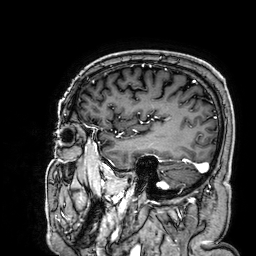
3 Tesla brain MRI. Series: 3D T1-weighted. Study: ring-enhancing brain masses.